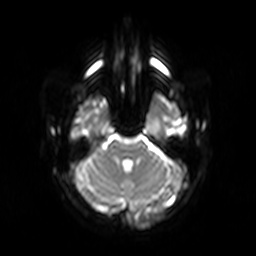
Case summary: 3 Tesla brain MRI. Series: diffusion-weighted imaging. Study: ring-enhancing brain masses.